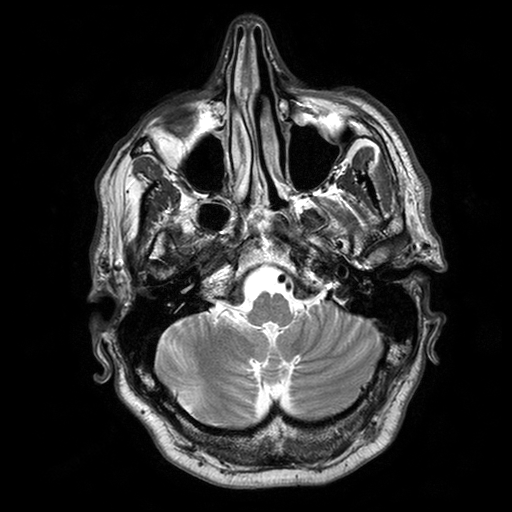
modality: 3 Tesla brain MRI; series: T2-weighted turbo spin echo with SENSE; study: ring-enhancing brain masses.